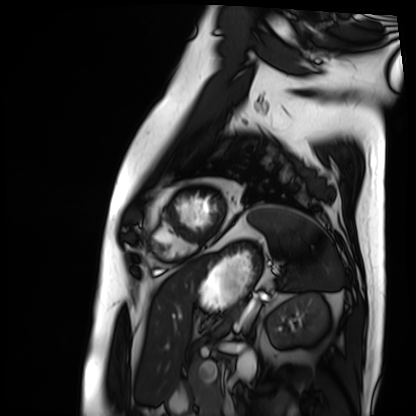
Q: What kind of scan is this?
A: Cardiac MRI.
Subject group: patient.